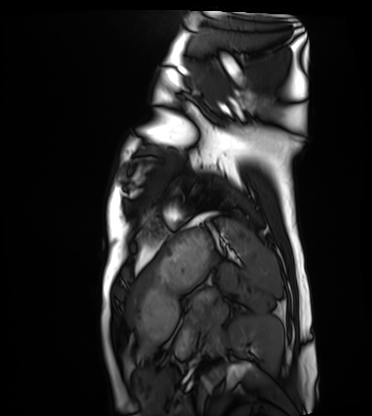
– modality · cardiac MRI
– subject group · healthy volunteer